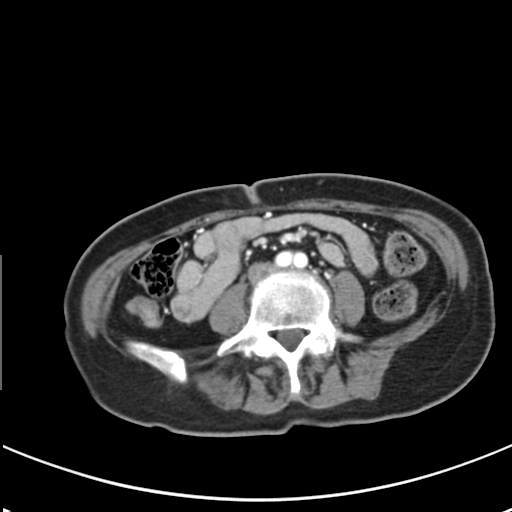
  modality:
    type: multiphase abdominal CT
    region: liver
    phase: arterial
  patient:
    sex: female
    age: 59